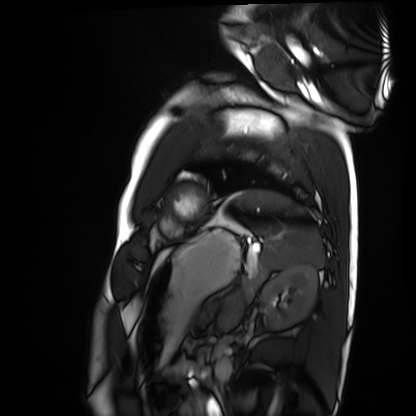
modality: cardiac MRI; subject group: healthy volunteer.